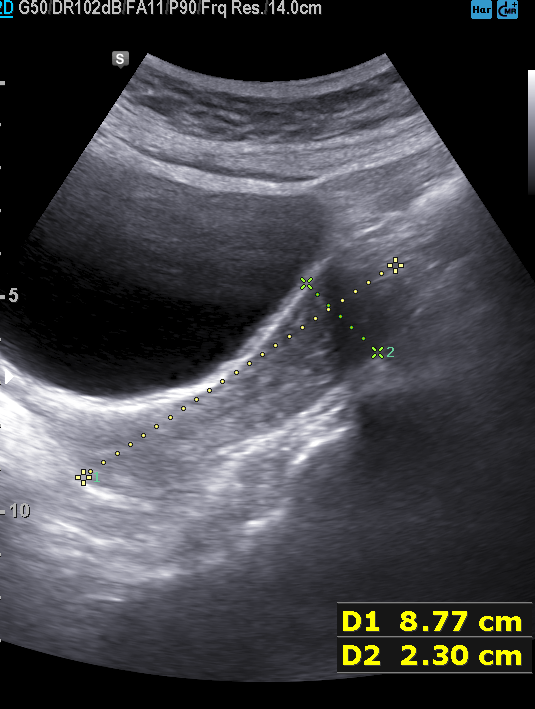
Clinical context: Genitourinary ultrasound.